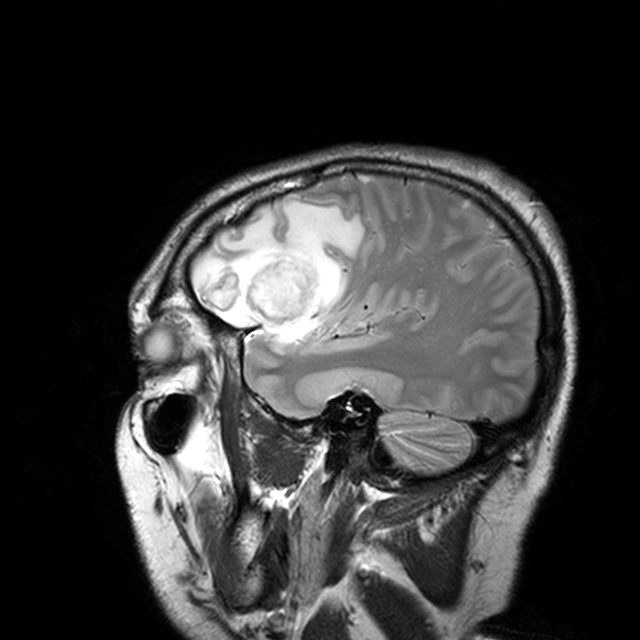
3 Tesla brain MRI.
Series: T2-weighted turbo spin echo with CLEAR.
Study: ring-enhancing brain masses.